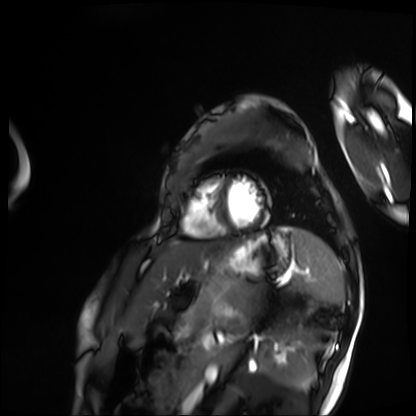
Summary:
Cardiac MRI. Subject group: patient.